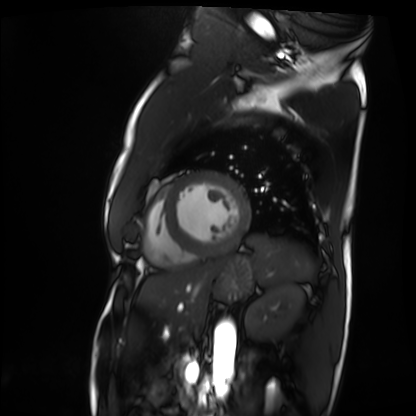
Cardiac MRI. Subject group: patient.